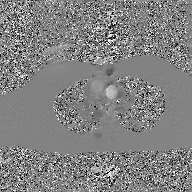
{"modality": {"type": "2D phase-contrast cine MRI", "region": "ascending aorta", "reconstruction": "GAN super-resolution reconstruction"}}